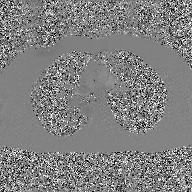
2D phase-contrast cine MRI of the ascending aorta, GAN super-resolution reconstruction.